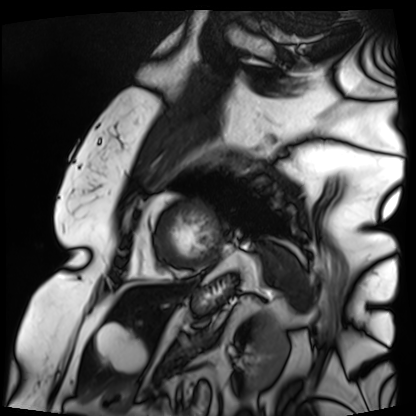
Summary:
Cardiac MRI. Subject group: patient.